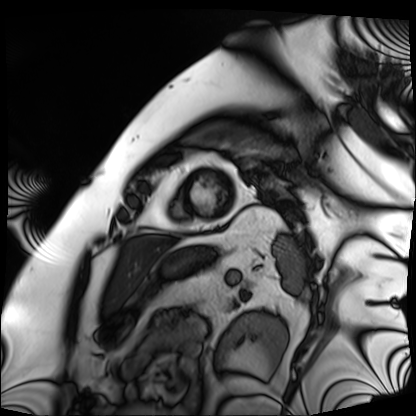
Clinical context: Cardiac MRI. Subject group: patient.